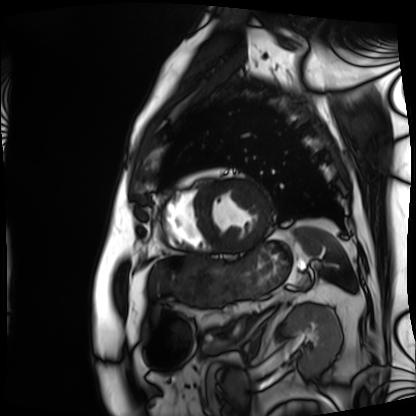
Cardiac MRI.
Subject group: patient.